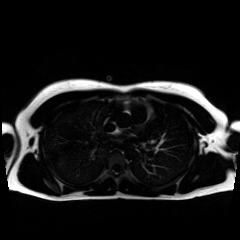
  modality: chemical-shift-encoded cardiac MRI